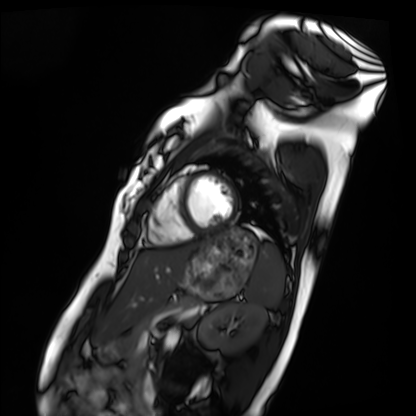
Cardiac MRI.
Subject group: healthy volunteer.